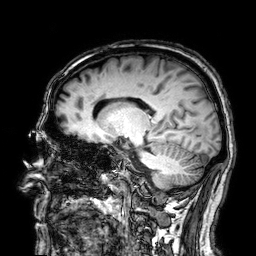
modality: 3 Tesla brain MRI
series: 3D T1-weighted
study: ring-enhancing brain masses